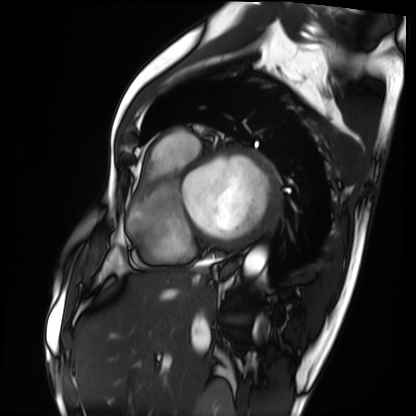
Case summary:
Cardiac MRI. Subject group: patient.